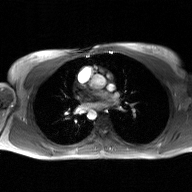
Clinical context: 2D phase-contrast cine MRI of the ascending aorta, GAN super-resolution reconstruction.